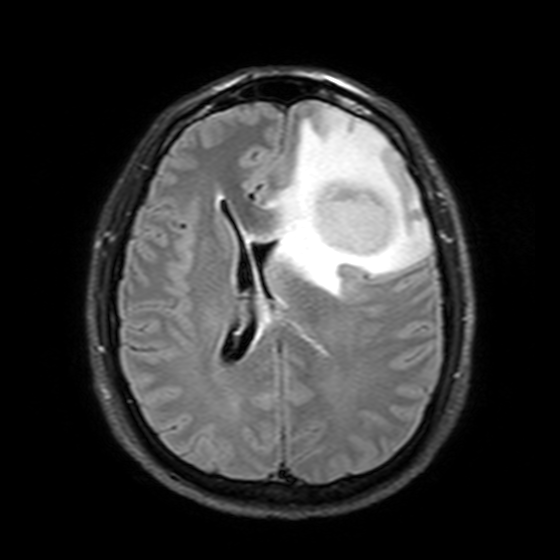
  modality:
    type: brain MRI
    field_strength: 3T
  study_topic: ring-enhancing brain masses